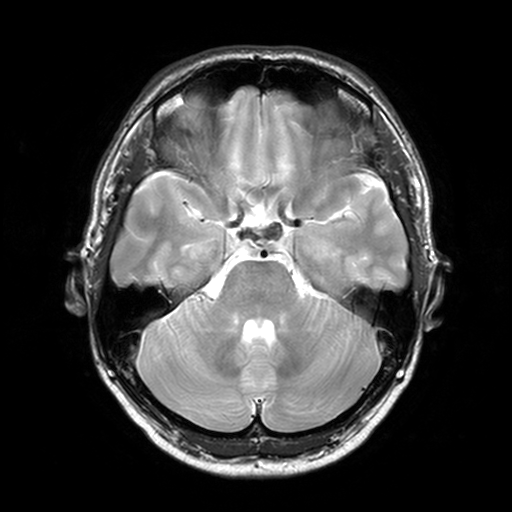
Summary: 3 Tesla brain MRI. Series: T2-weighted turbo spin echo, 3 mm. Study: ring-enhancing brain masses.